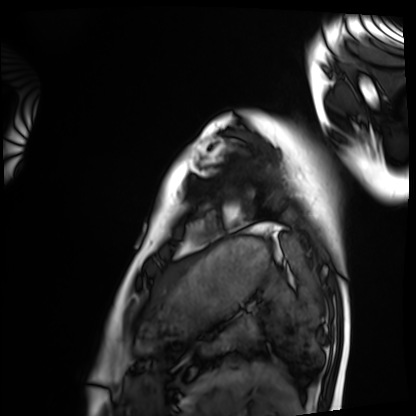
Summary:
Cardiac MRI. Subject group: healthy volunteer.